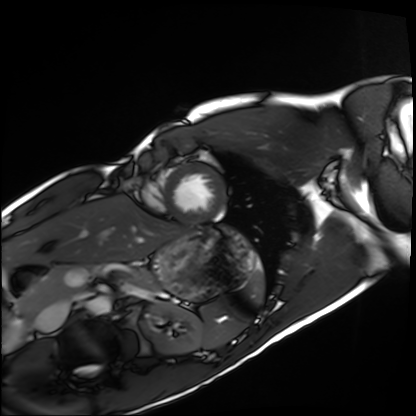
Clinical context: Cardiac MRI. Subject group: healthy volunteer.